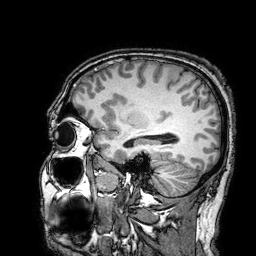
Q: What kind of scan is this?
A: 3 Tesla brain MRI.
Study: ring-enhancing brain masses.